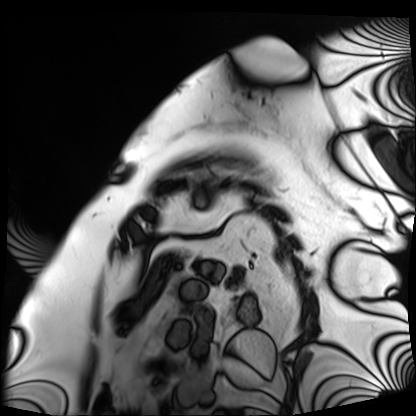
Cardiac MRI. Subject group: patient.